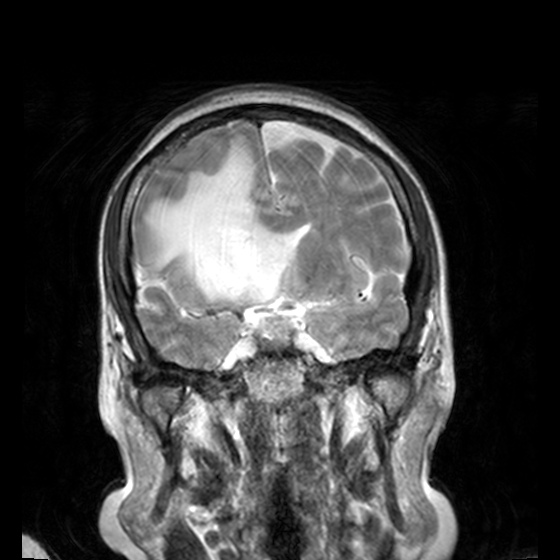
modality = 3 Tesla brain MRI
series = T2-weighted turbo spin echo, 3 mm
study = ring-enhancing brain masses